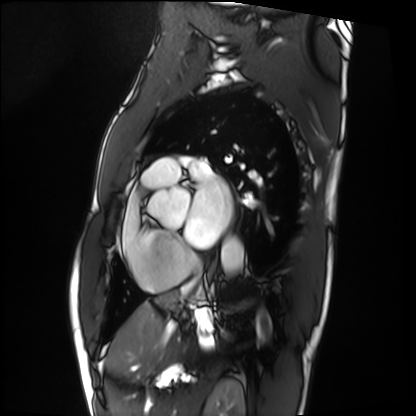
Cardiac MRI.
Subject group: patient.